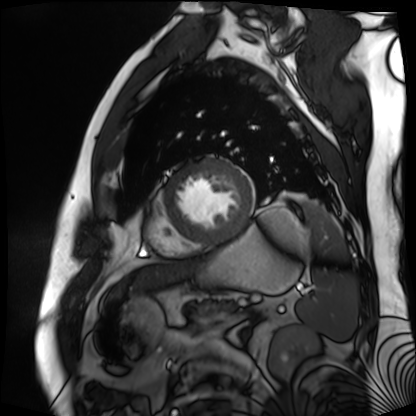
modality — cardiac MR image of the myocardium | subject cohort — cardiac patient.